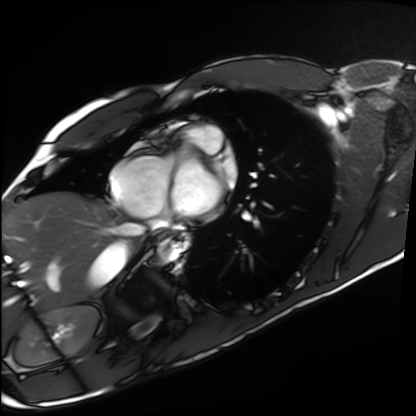
Summary:
Cardiac MRI. Subject group: healthy volunteer.